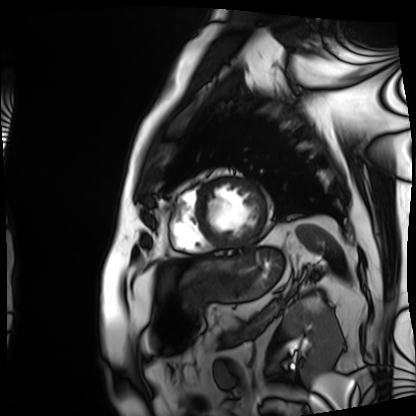
modality=cardiac MRI | subject group=patient.